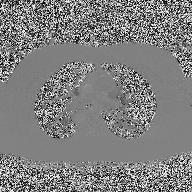
Case summary: 2D phase-contrast cine MRI of the ascending aorta, high-resolution GRAPPA acquisition.